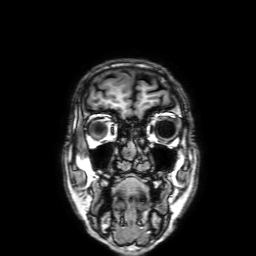
modality = 3 Tesla brain MRI; series = 3D T1-weighted with SENSE; study = ring-enhancing brain masses.